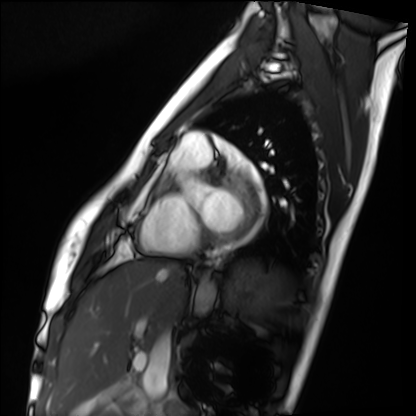
Cardiac MRI. Subject group: healthy volunteer.